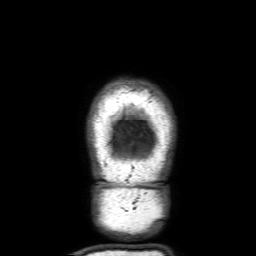
3 Tesla brain MRI. Series: 3D T1-weighted with SENSE. Study: ring-enhancing brain masses.